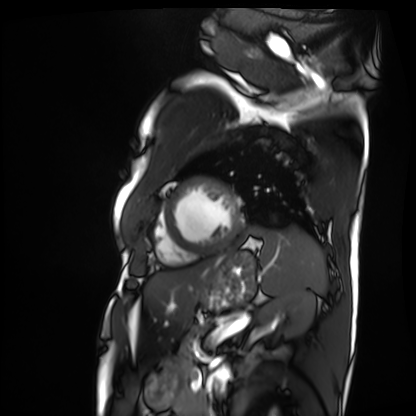
<study>
  <modality>cardiac MRI</modality>
  <cohort>patient</cohort>
</study>